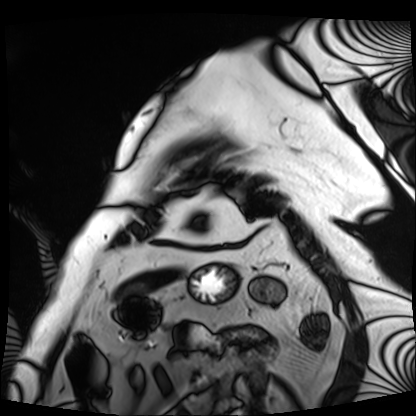
Cardiac MRI. Subject group: patient.